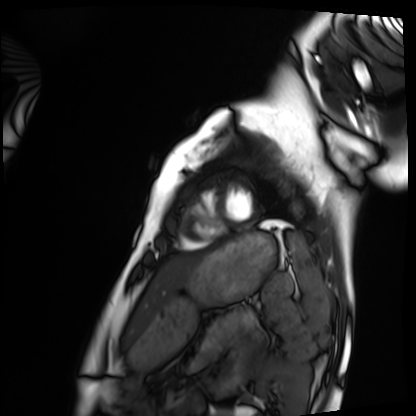
Case summary: Cardiac MRI. Subject group: healthy volunteer.